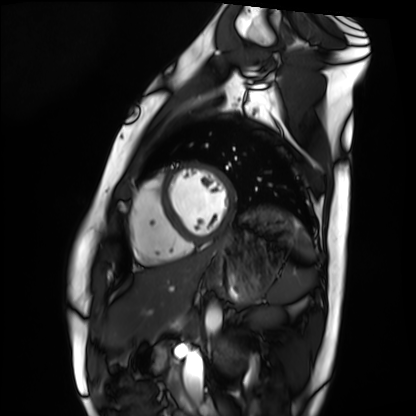
{
  "modality": "cardiac MRI",
  "cohort": "healthy volunteer"
}